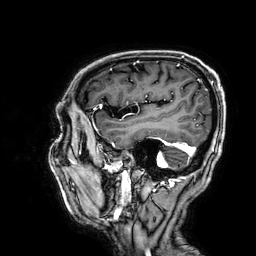
| field | value |
|---|---|
| modality | 3 Tesla brain MRI |
| series | 3D T1-weighted |
| study | ring-enhancing brain masses |